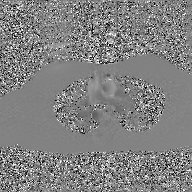
Case:
- modality: 2D phase-contrast cine MRI of the ascending aorta, GAN super-resolution reconstruction